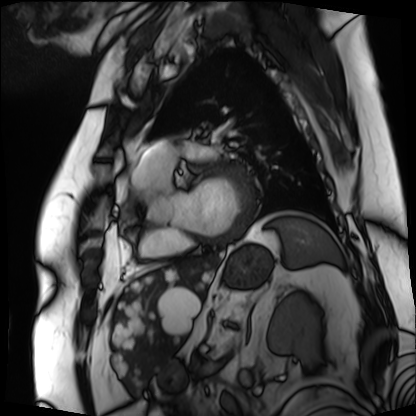
Case summary:
Cardiac MRI. Subject group: patient.